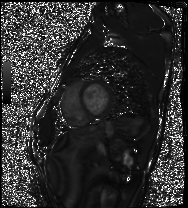
Q: What kind of scan is this?
A: Cardiac MRI.
Subject group: healthy volunteer.